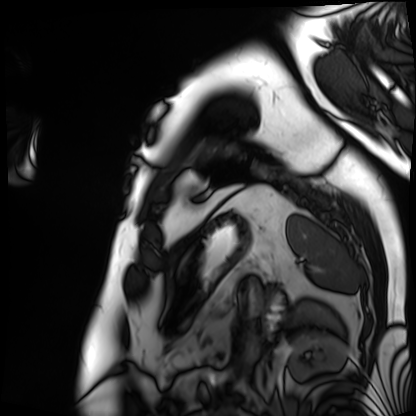
  modality: cardiac MRI
  cohort: patient